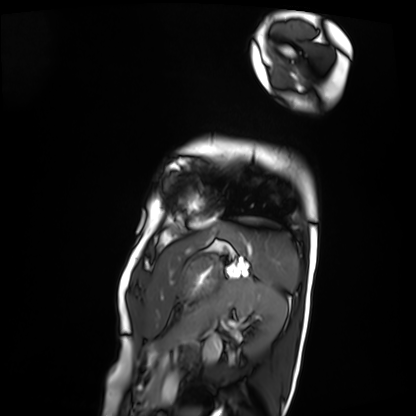
<study>
  <modality>cardiac MRI</modality>
  <cohort>patient</cohort>
</study>